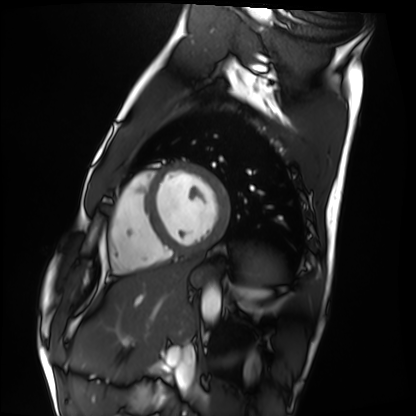
Summary:
Cardiac MRI. Subject group: healthy volunteer.